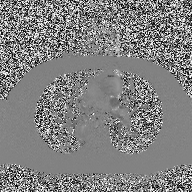
2D phase-contrast cine MRI of the ascending aorta, high-resolution GRAPPA acquisition.